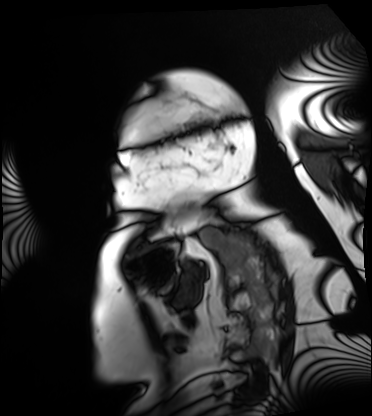
modality: cardiac MRI, subject group: patient.